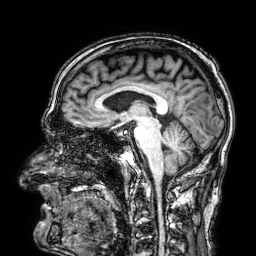
modality: 3 Tesla brain MRI | series: 3D T1-weighted | study: ring-enhancing brain masses.